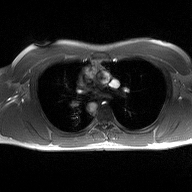
2D phase-contrast cine MRI of the ascending aorta, high-resolution GRAPPA acquisition.